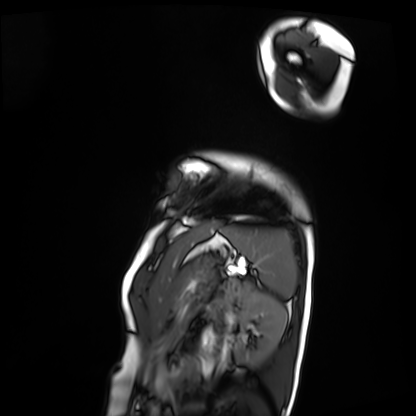
Q: What kind of scan is this?
A: Cardiac MRI.
Subject group: patient.